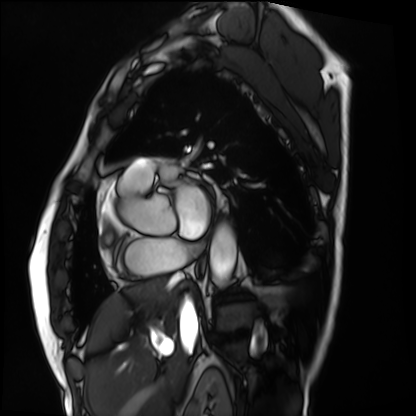
• modality — cardiac MRI
• subject group — patient